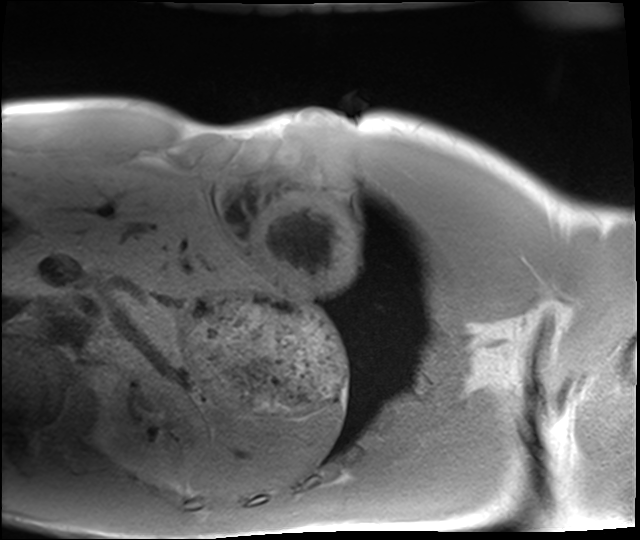
{"modality": "cardiac MRI", "cohort": "healthy volunteer"}